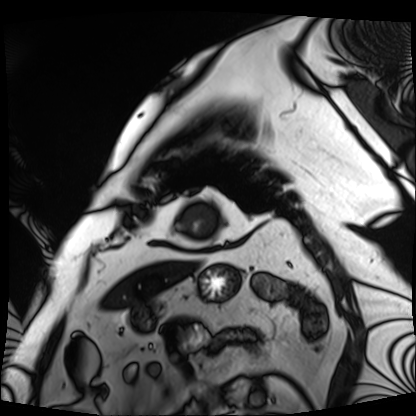
{
  "modality": "cardiac MRI",
  "cohort": "patient"
}